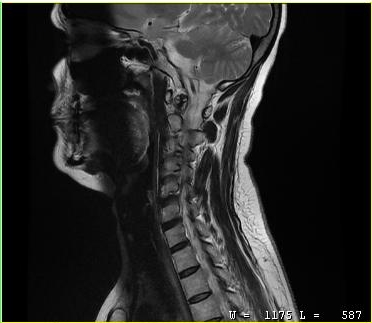
modality: MRI of the cervical spine; study: cervical spondylosis.